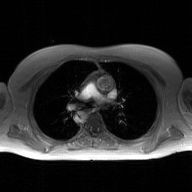
{
  "modality": {
    "type": "2D phase-contrast cine MRI",
    "region": "ascending aorta",
    "reconstruction": "GAN super-resolution reconstruction"
  }
}